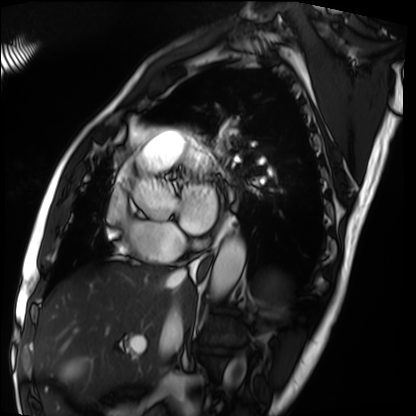
Clinical context:
Cardiac MRI. Subject group: patient.